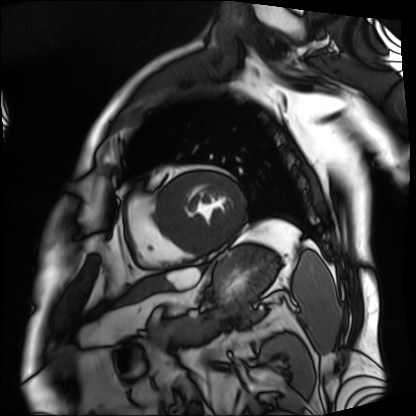
  modality: cardiac MRI
  cohort: patient